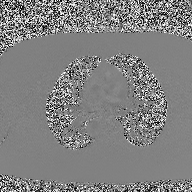
  modality:
    type: 2D phase-contrast cine MRI
    region: ascending aorta
    reconstruction: high-resolution GRAPPA acquisition